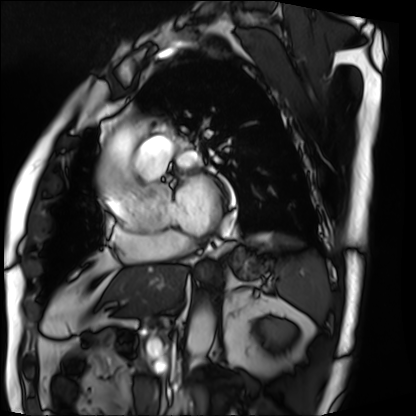
Cardiac MRI. Subject group: patient.